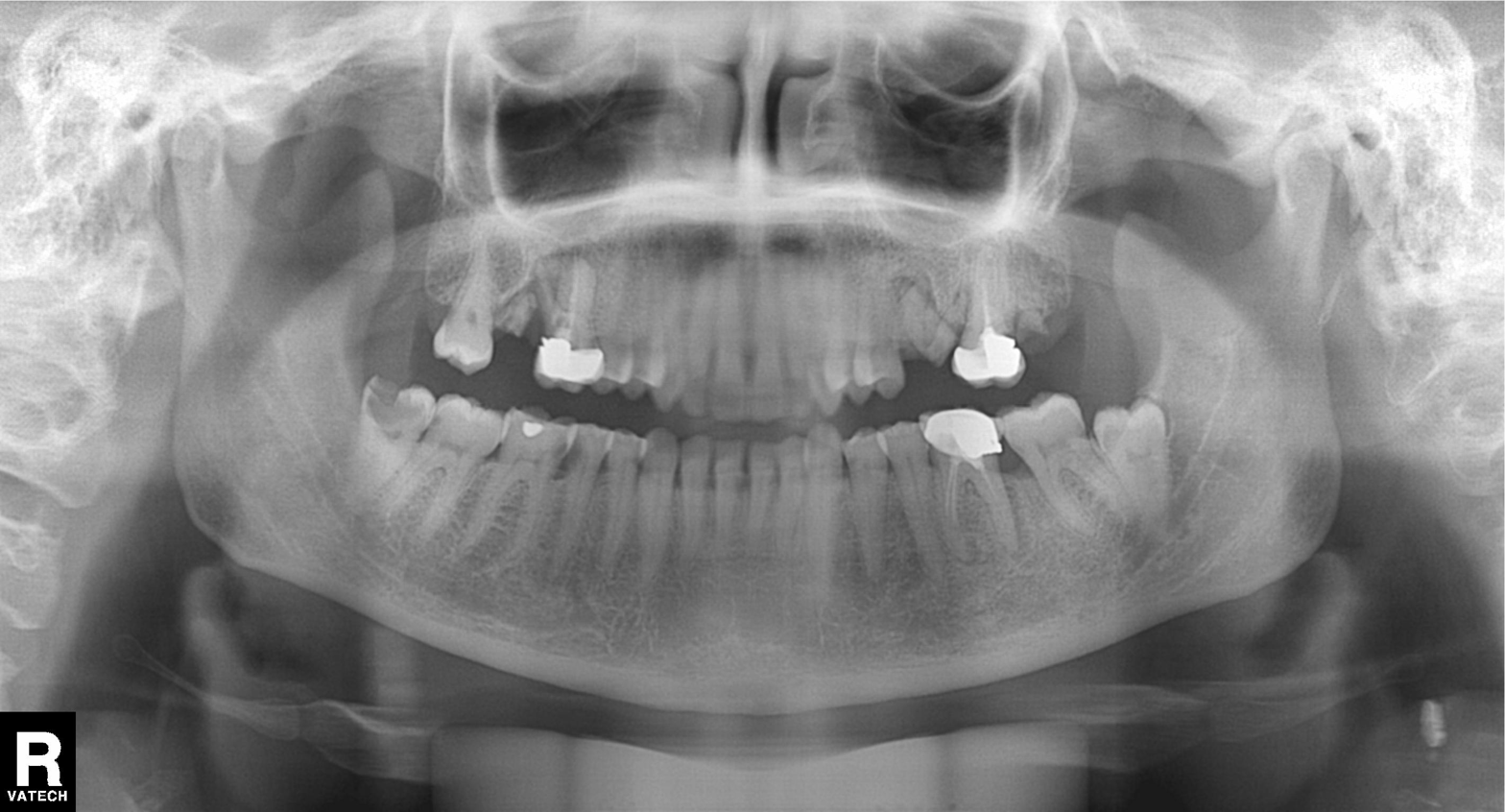
Clinical context: Panoramic dental radiograph (orthopantomogram).
Impression: Dental caries (cavities).